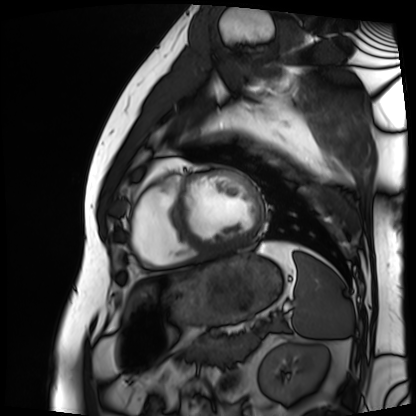
| field | value |
|---|---|
| modality | cardiac MRI |
| subject group | patient |